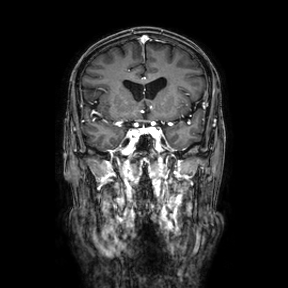
Case summary: 3 Tesla brain MRI. Series: coronal. Study: ring-enhancing brain masses.